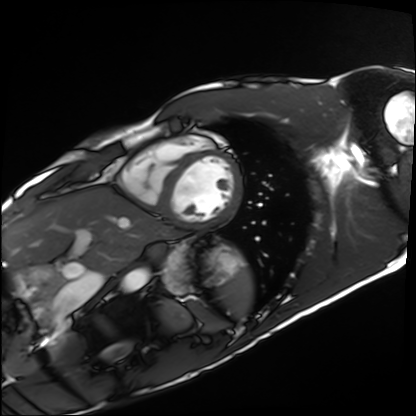
Case summary:
Cardiac MRI. Subject group: healthy volunteer.